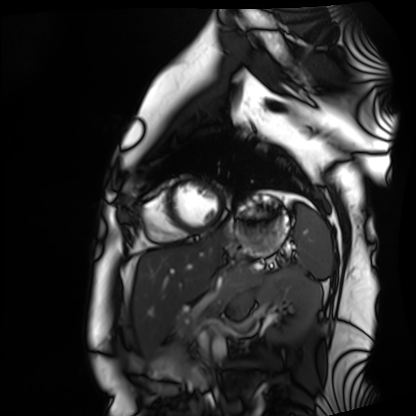
  modality: cardiac MRI
  cohort: healthy volunteer